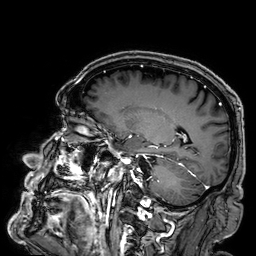
modality = 3 Tesla brain MRI
series = 3D T1-weighted
study = ring-enhancing brain masses